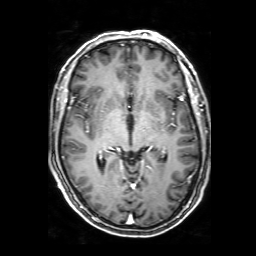
modality: 3 Tesla brain MRI | series: 3D T1-weighted with SENSE | study: ring-enhancing brain masses.